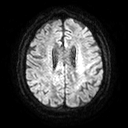
Case summary:
3 Tesla brain MRI. Series: diffusion tensor imaging (medium iso). Study: ring-enhancing brain masses.